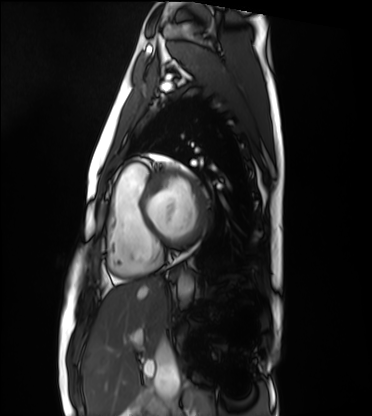
Cardiac MRI.
Subject group: healthy volunteer.